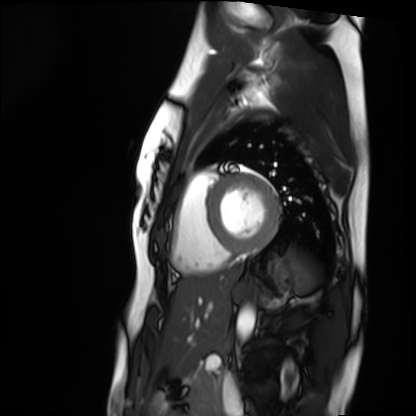
modality: cardiac MRI; subject group: healthy volunteer.